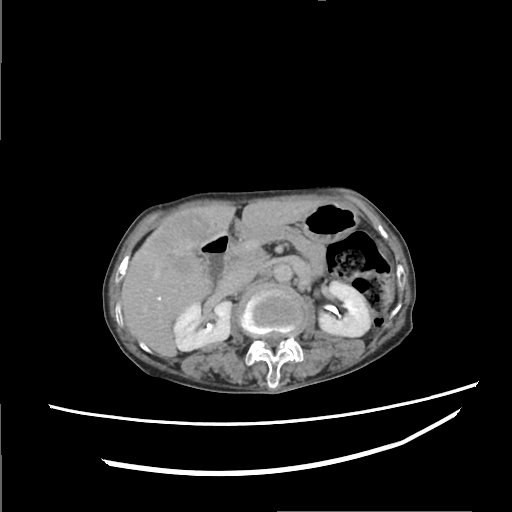
modality:
  type: multiphase abdominal CT
  region: liver
  phase: delayed
patient:
  sex: female
  age: 74